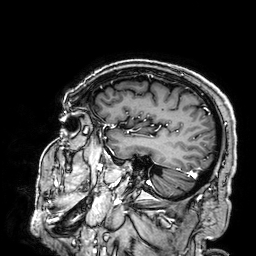
Case summary: 3 Tesla brain MRI. Series: 3D T1-weighted. Study: ring-enhancing brain masses.